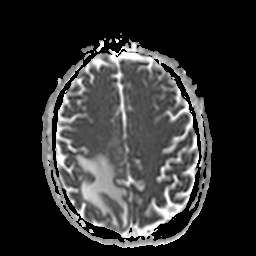
Q: What kind of scan is this?
A: 3 Tesla brain MRI.
Q: Series?
A: Apparent diffusion coefficient (ADC) map.
Study: ring-enhancing brain masses.